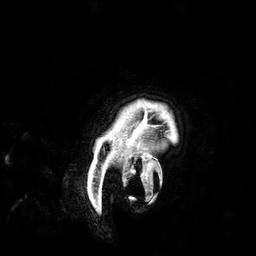
Clinical context: 3 Tesla brain MRI. Study: ring-enhancing brain masses.